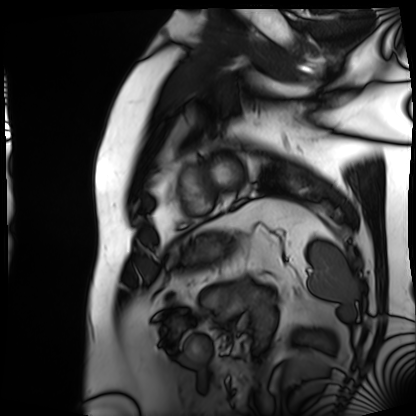
Summary:
Cardiac MRI. Subject group: patient.